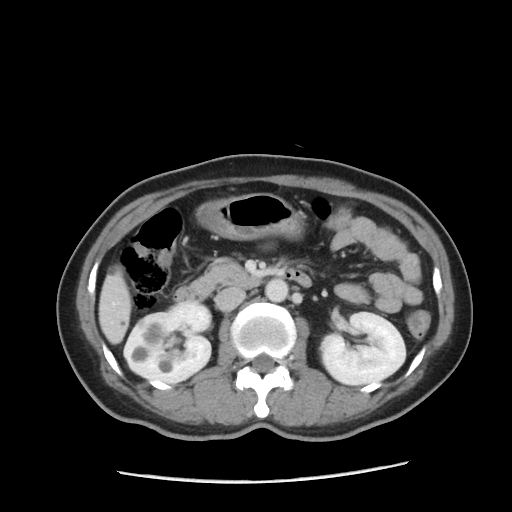
Q: What kind of scan is this?
A: Multiphase abdominal CT, liver, portal venous phase.
Q: Patient?
A: Female, age 43.